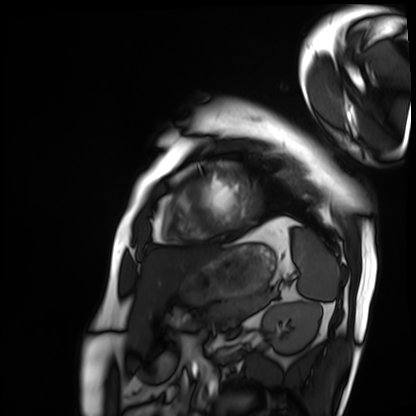
Cardiac MRI.
Subject group: patient.